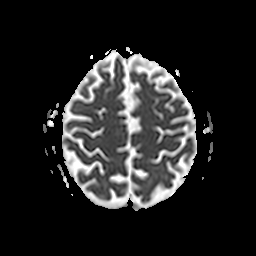
<study>
<modality>
  <type>brain MRI</type>
  <field_strength>3T</field_strength>
</modality>
<series>apparent diffusion coefficient (ADC) map</series>
<study_topic>ring-enhancing brain masses</study_topic>
</study>